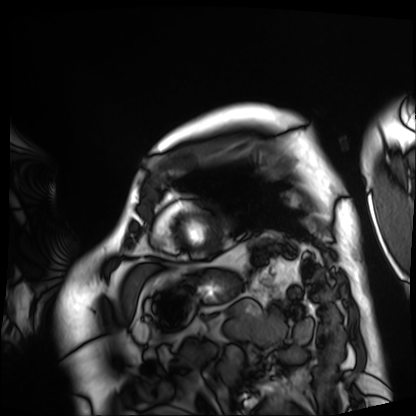
Case summary:
Cardiac MRI. Subject group: patient.